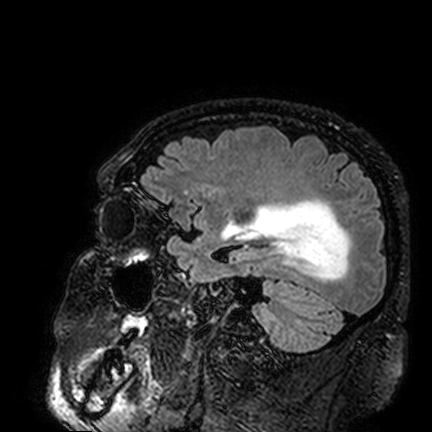
3 Tesla brain MRI. Series: FLAIR VISTA. Study: ring-enhancing brain masses.